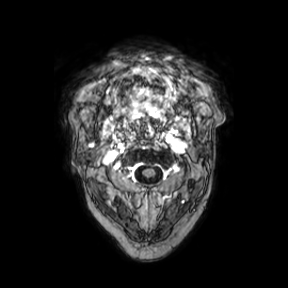
| field | value |
|---|---|
| modality | 3 Tesla brain MRI |
| series | axial |
| study | ring-enhancing brain masses |